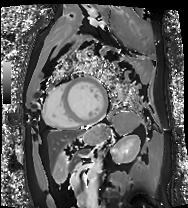
Summary: Cardiac MRI. Subject group: patient.